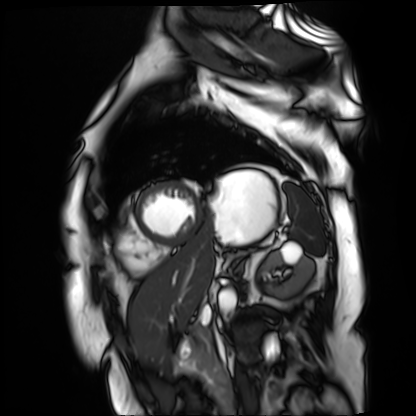
Case summary: Cardiac MR image of the myocardium. Subject cohort: cardiac patient.